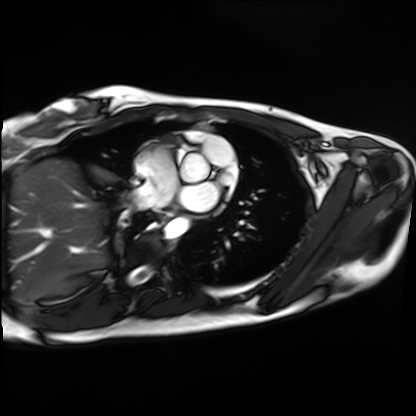
Cardiac MRI.
Subject group: healthy volunteer.